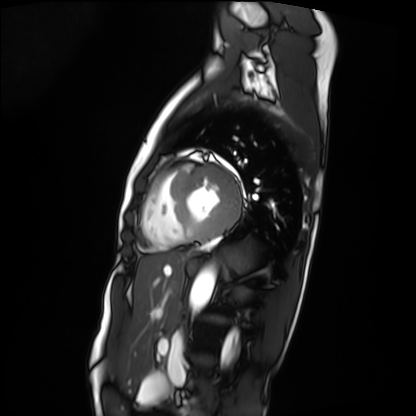
modality: cardiac MRI, subject group: patient.